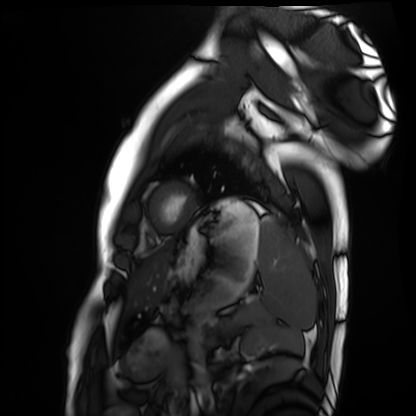
Cardiac MRI. Subject group: healthy volunteer.